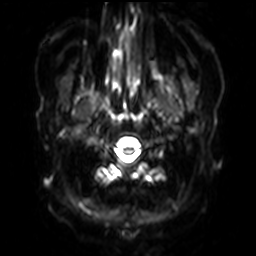
{
  "modality": {
    "type": "brain MRI",
    "field_strength": "3T"
  },
  "series": "diffusion-weighted imaging with SENSE (WIP)",
  "study_topic": "ring-enhancing brain masses"
}